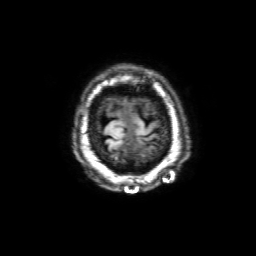
<record>
<modality>
  <type>brain MRI</type>
  <field_strength>3T</field_strength>
</modality>
<series>3D T1-weighted with SENSE</series>
<study_topic>ring-enhancing brain masses</study_topic>
</record>